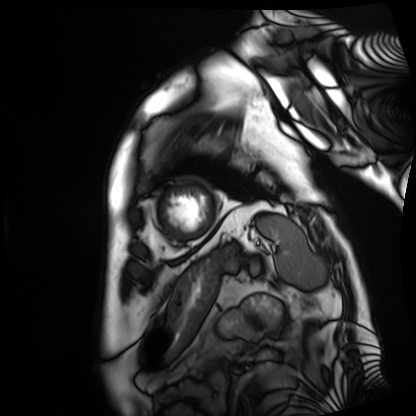
* modality — cardiac MRI
* subject group — patient